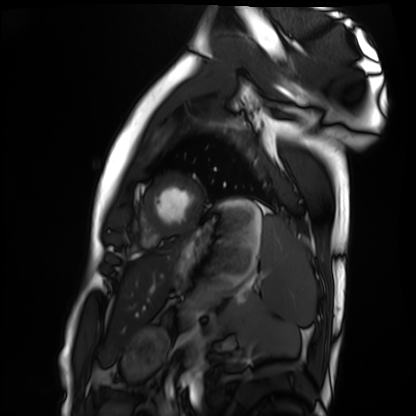
Clinical context: Cardiac MRI. Subject group: healthy volunteer.